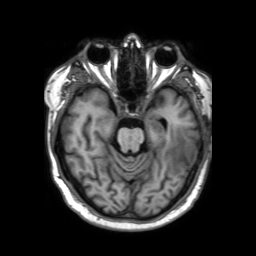
3 Tesla brain MRI.
Series: 3D T1-weighted TFE with SENSE.
Study: ring-enhancing brain masses.